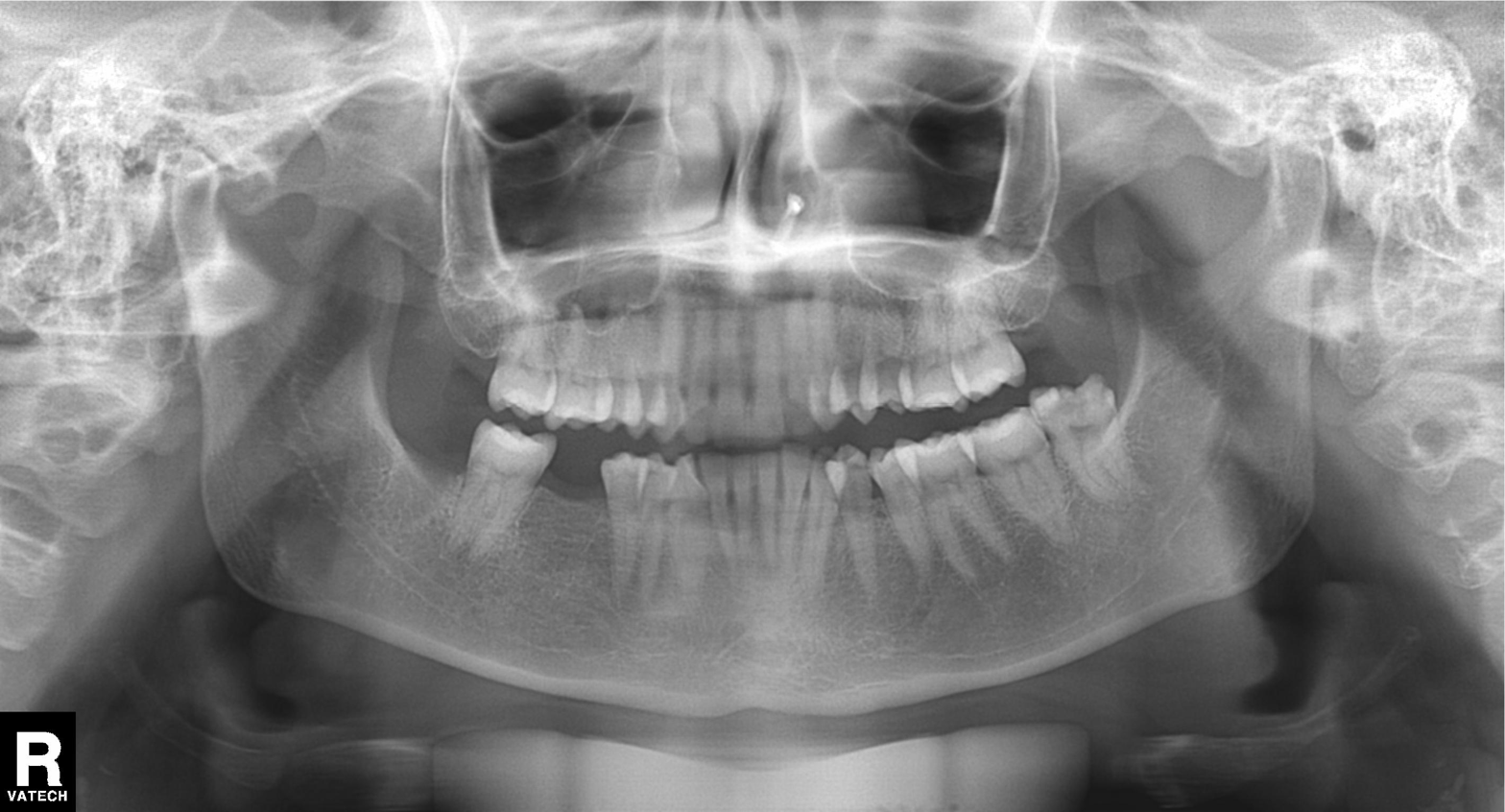
Panoramic dental radiograph (orthopantomogram). Finding: tooth impaction.